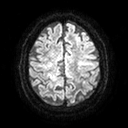
3 Tesla brain MRI.
Series: diffusion tensor imaging (medium iso).
Study: ring-enhancing brain masses.